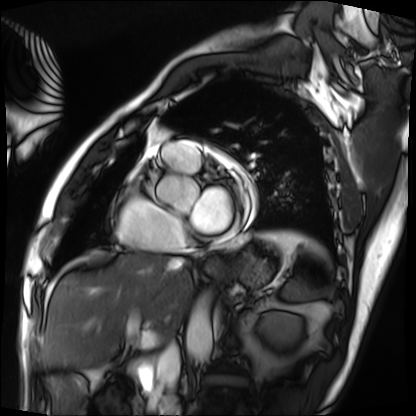
Q: What kind of scan is this?
A: Cardiac MRI.
Subject group: patient.